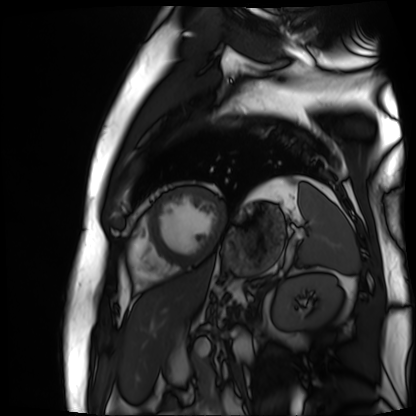
| field | value |
|---|---|
| modality | cardiac MR image of the myocardium |
| subject cohort | cardiac patient |